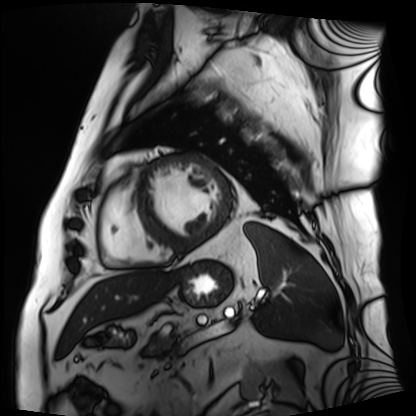
Q: What kind of scan is this?
A: Cardiac MRI.
Subject group: patient.